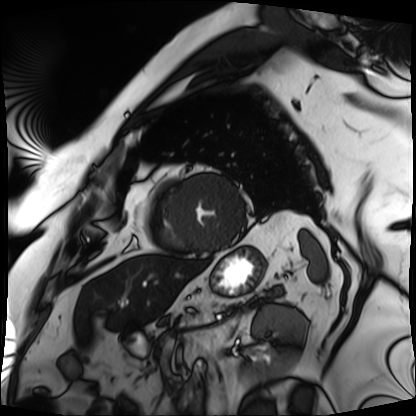
• modality: cardiac MRI
• subject group: patient